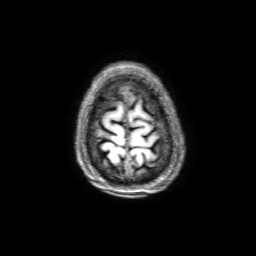
3 Tesla brain MRI. Series: 3D T1-weighted with SENSE. Study: ring-enhancing brain masses.